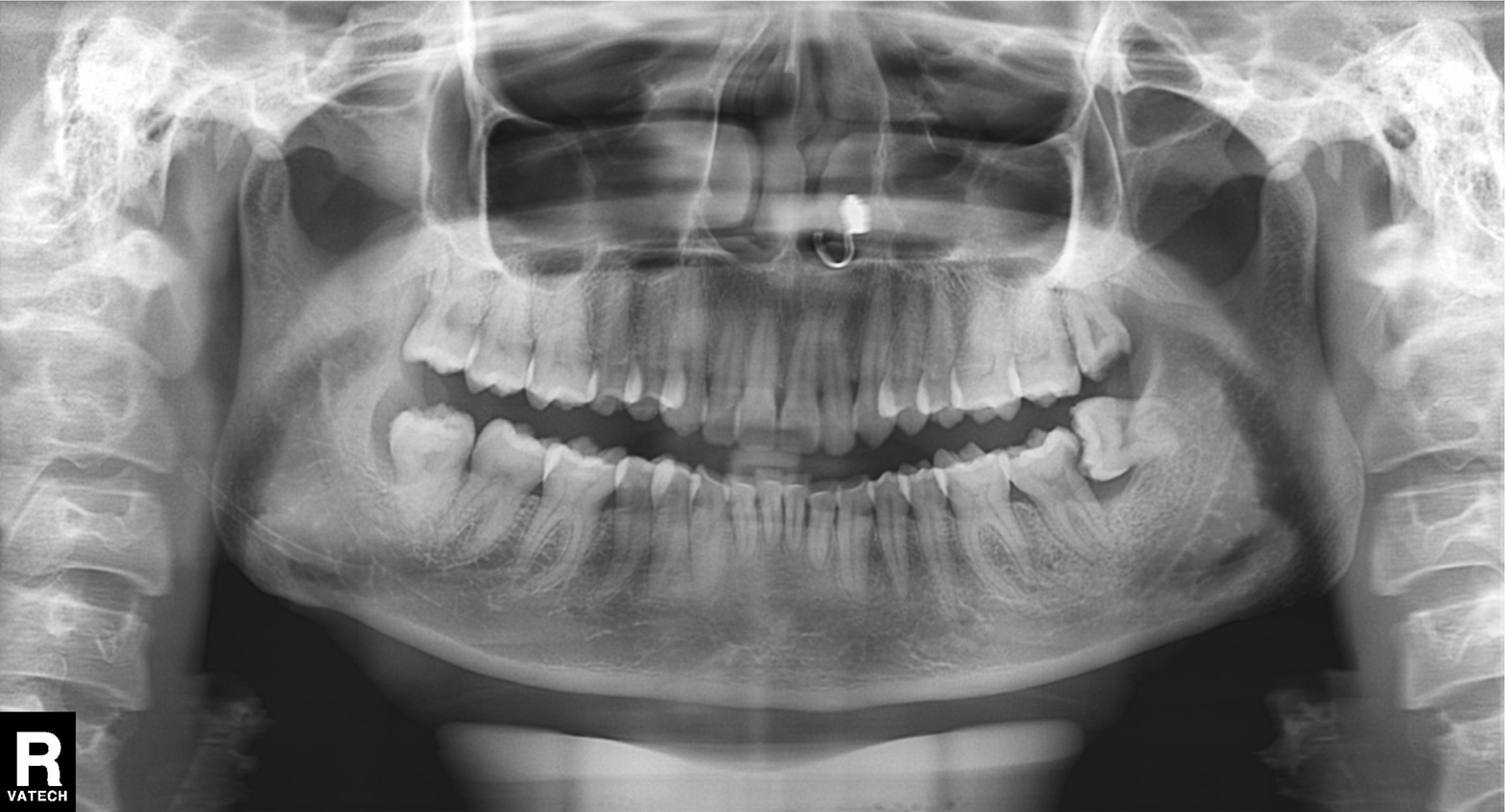
Q: What kind of scan is this?
A: Panoramic dental radiograph (orthopantomogram).
Q: What is the radiographic finding?
A: Alveolar bone loss.